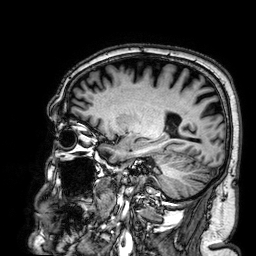
3 Tesla brain MRI. Series: 3D T1-weighted. Study: ring-enhancing brain masses.